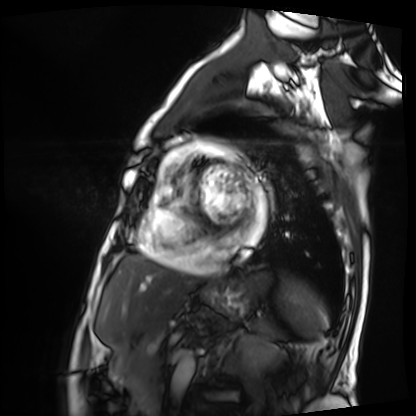
modality = cardiac MRI | subject group = patient.